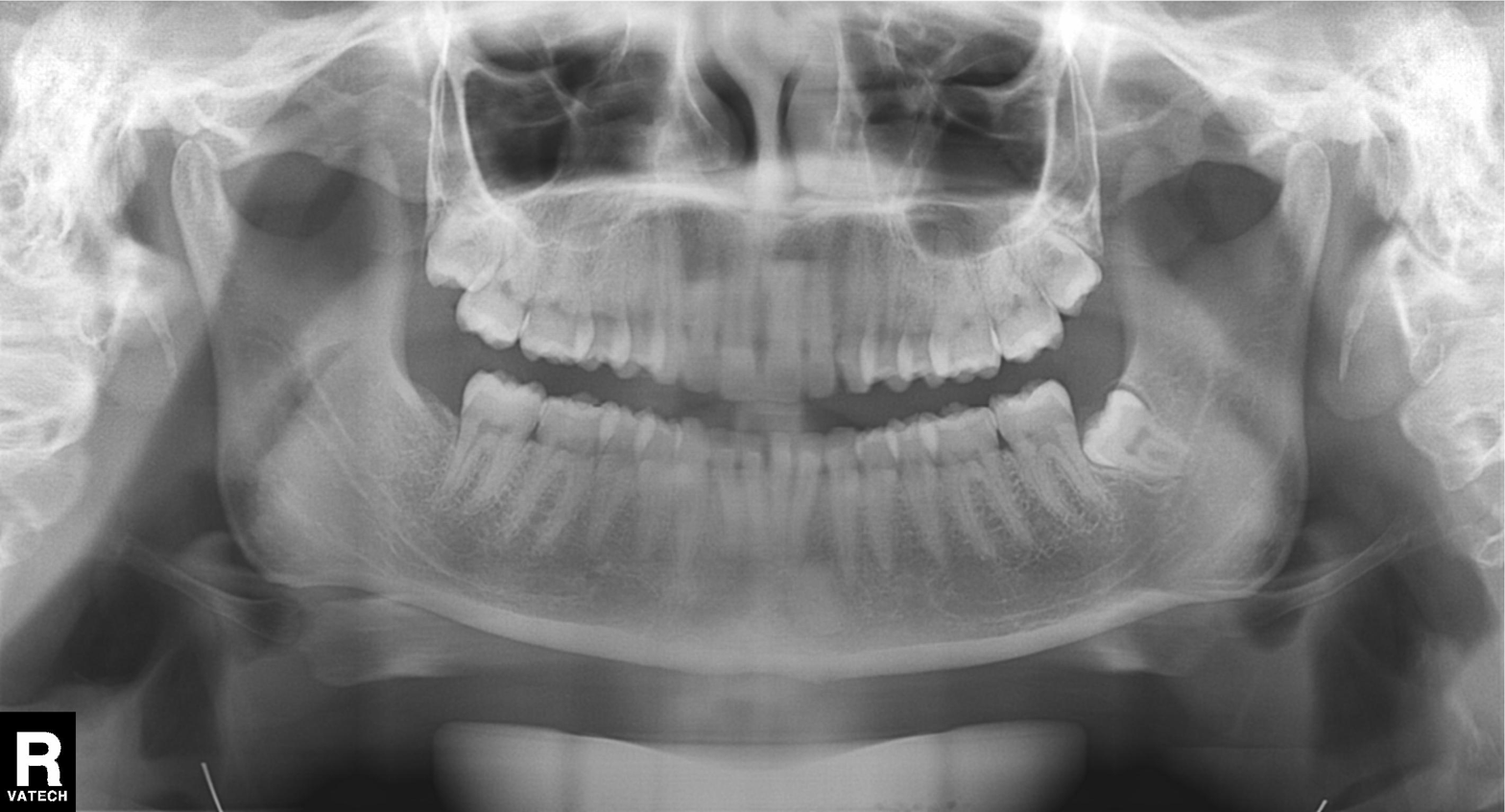
<case>
<modality>panoramic dental radiograph (orthopantomogram)</modality>
<finding>tooth impaction</finding>
</case>